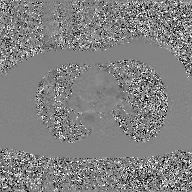
Summary:
2D phase-contrast cine MRI of the ascending aorta, GAN super-resolution reconstruction.